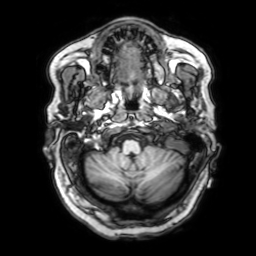
{
  "modality": {
    "type": "brain MRI",
    "field_strength": "3T"
  },
  "series": "3D T1-weighted with SENSE",
  "study_topic": "ring-enhancing brain masses"
}